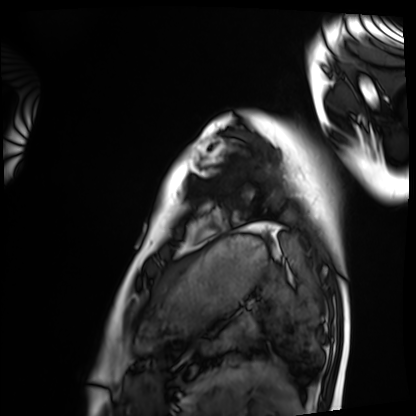
Cardiac MRI.
Subject group: healthy volunteer.